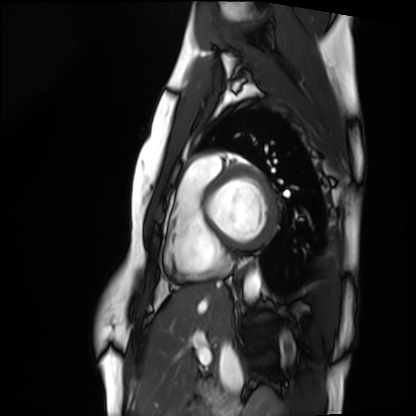
- modality · cardiac MRI
- subject group · healthy volunteer